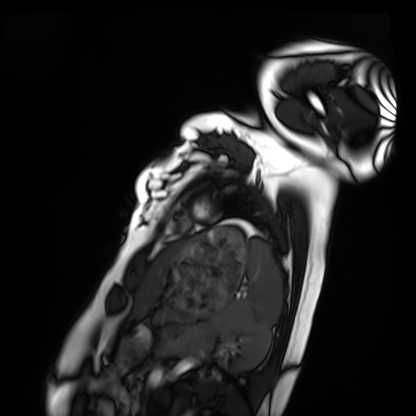
modality: cardiac MRI | subject group: healthy volunteer.